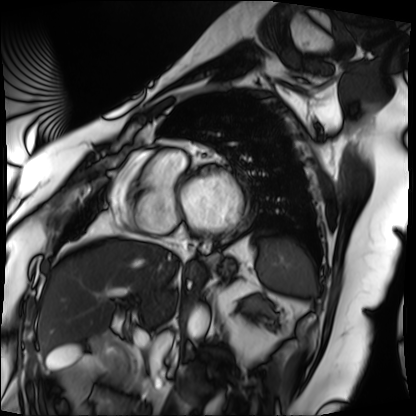
Case summary: Cardiac MRI. Subject group: patient.